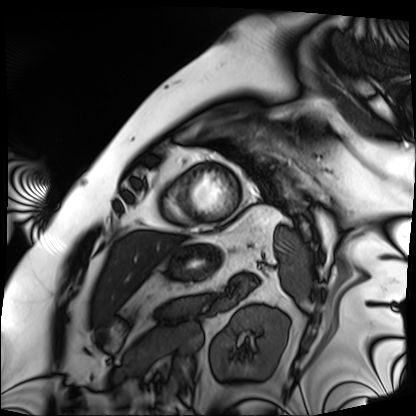
Case summary:
Cardiac MRI. Subject group: patient.